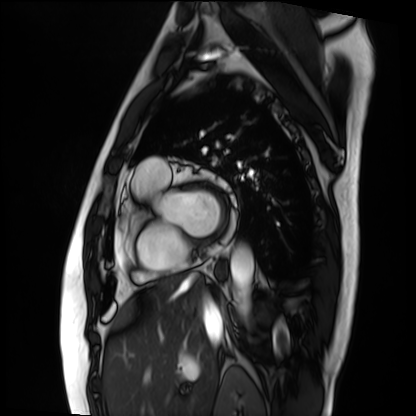
<case>
  <modality>cardiac MRI</modality>
  <cohort>patient</cohort>
</case>